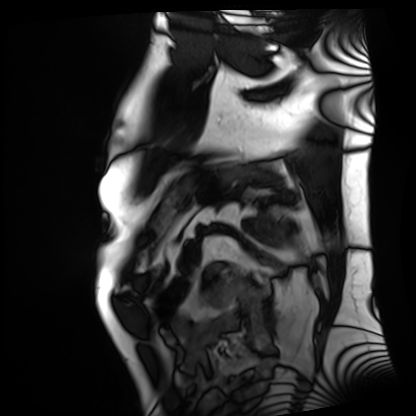
{"modality": "cardiac MRI", "cohort": "patient"}